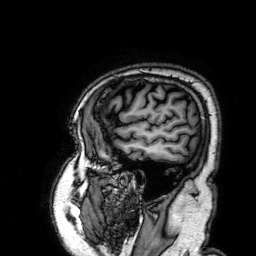
Q: What kind of scan is this?
A: 3 Tesla brain MRI.
Q: Series?
A: 3D T1-weighted.
Study: ring-enhancing brain masses.